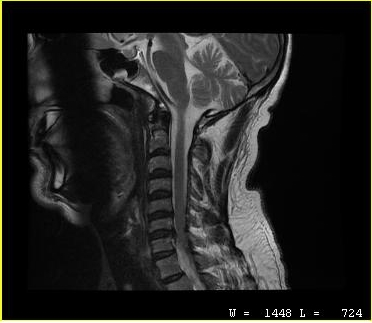
modality: MRI of the cervical spine | study: cervical spondylosis.